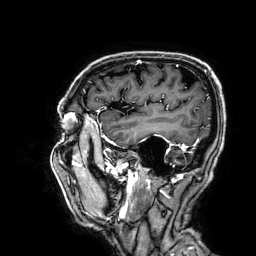
modality:
  type: brain MRI
  field_strength: 3T
series: 3D T1-weighted
study_topic: ring-enhancing brain masses